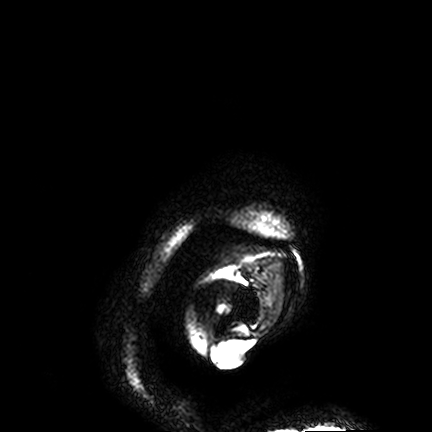
{"modality": {"type": "brain MRI", "field_strength": "3T"}, "series": "FLAIR VISTA", "study_topic": "ring-enhancing brain masses"}